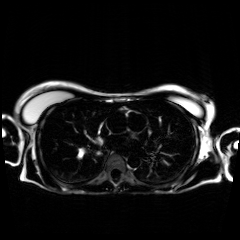
modality: chemical-shift-encoded cardiac MRI.